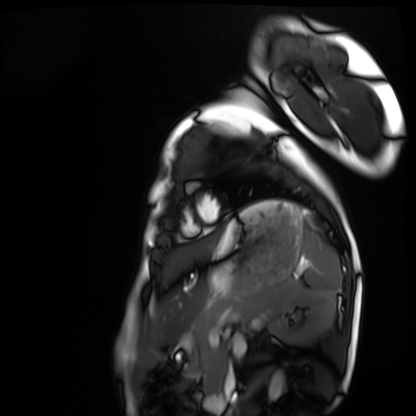
Q: What kind of scan is this?
A: Cardiac MRI.
Subject group: healthy volunteer.